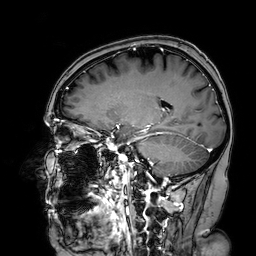
Summary: 3 Tesla brain MRI. Series: 3D T1-weighted turbo field echo with SENSE. Study: ring-enhancing brain masses.